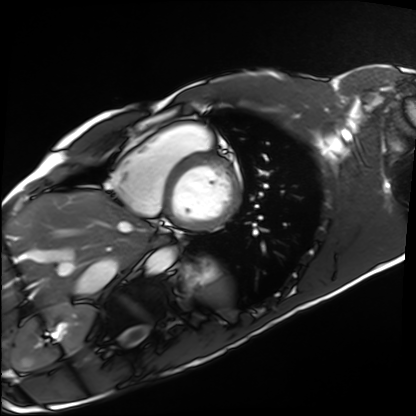
Case summary:
Cardiac MRI. Subject group: healthy volunteer.